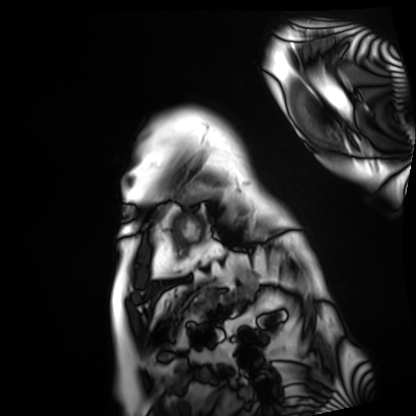
Cardiac MRI.
Subject group: patient.